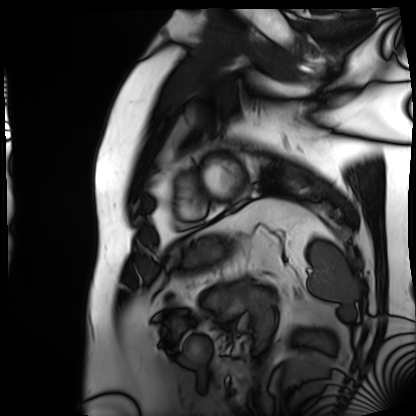
Cardiac MRI.
Subject group: patient.